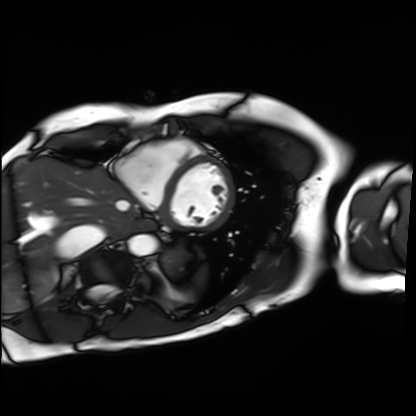
Cardiac MRI.
Subject group: patient.